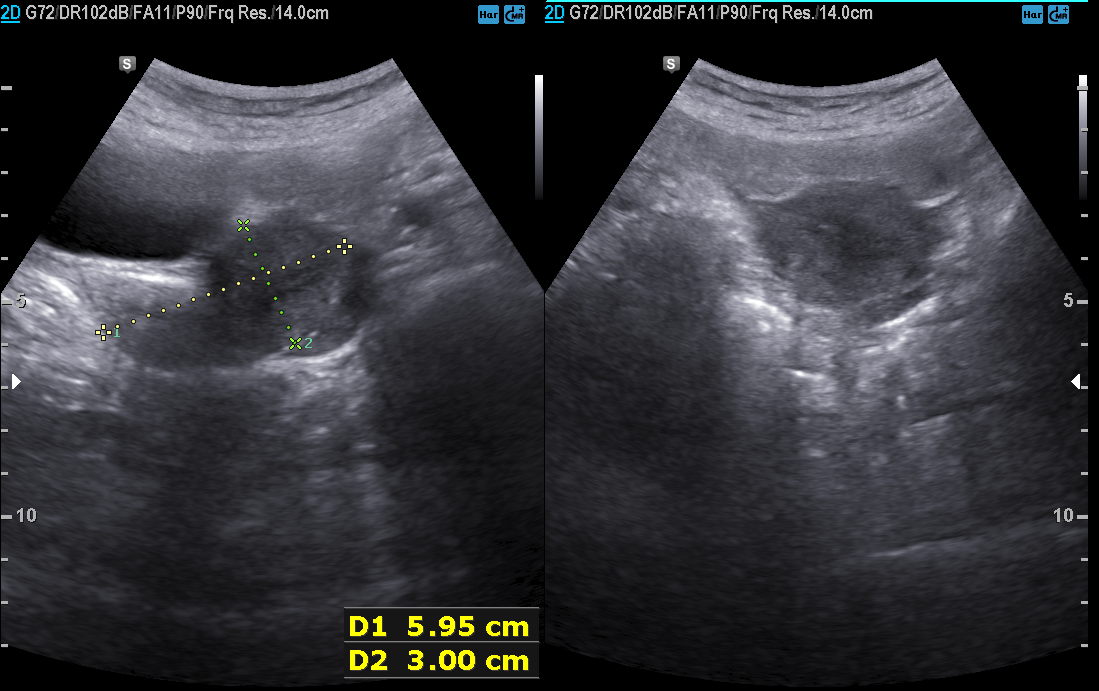
Clinical context:
Genitourinary ultrasound.